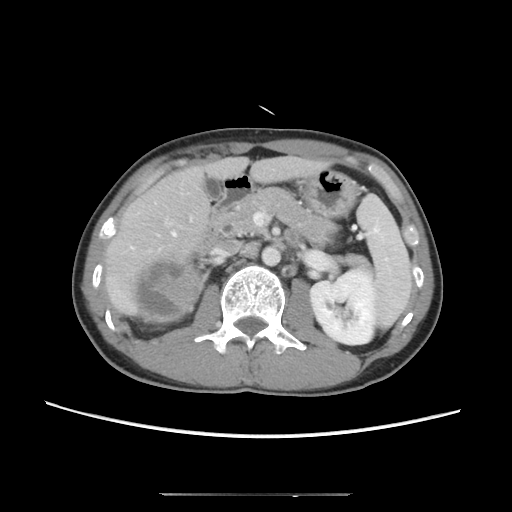
modality=multiphase abdominal CT, liver, portal venous phase | patient=male, age 39 | history=cirrhosis, viral hepatitis.